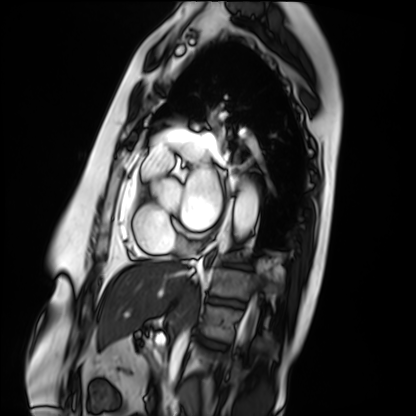
  modality: cardiac MRI
  cohort: patient